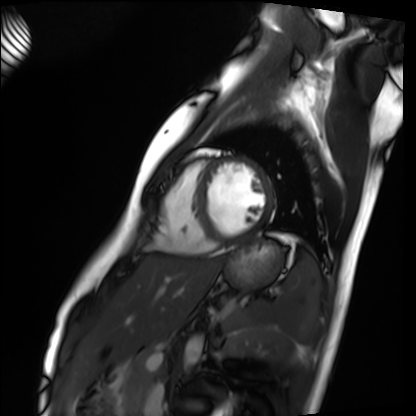
modality: cardiac MRI
cohort: healthy volunteer